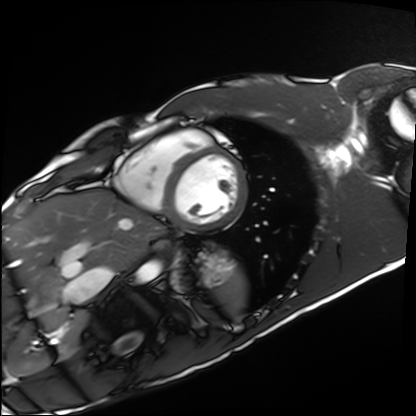
{"modality": "cardiac MRI", "cohort": "healthy volunteer"}